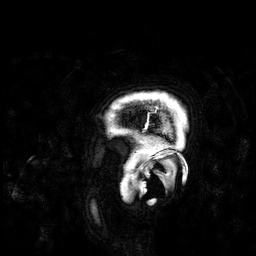
3 Tesla brain MRI.
Series: 3D T1-weighted.
Study: ring-enhancing brain masses.